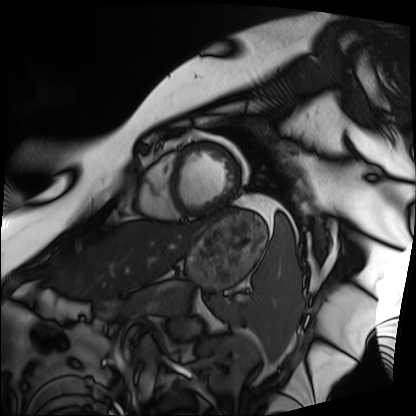
Cardiac MRI.
Subject group: patient.